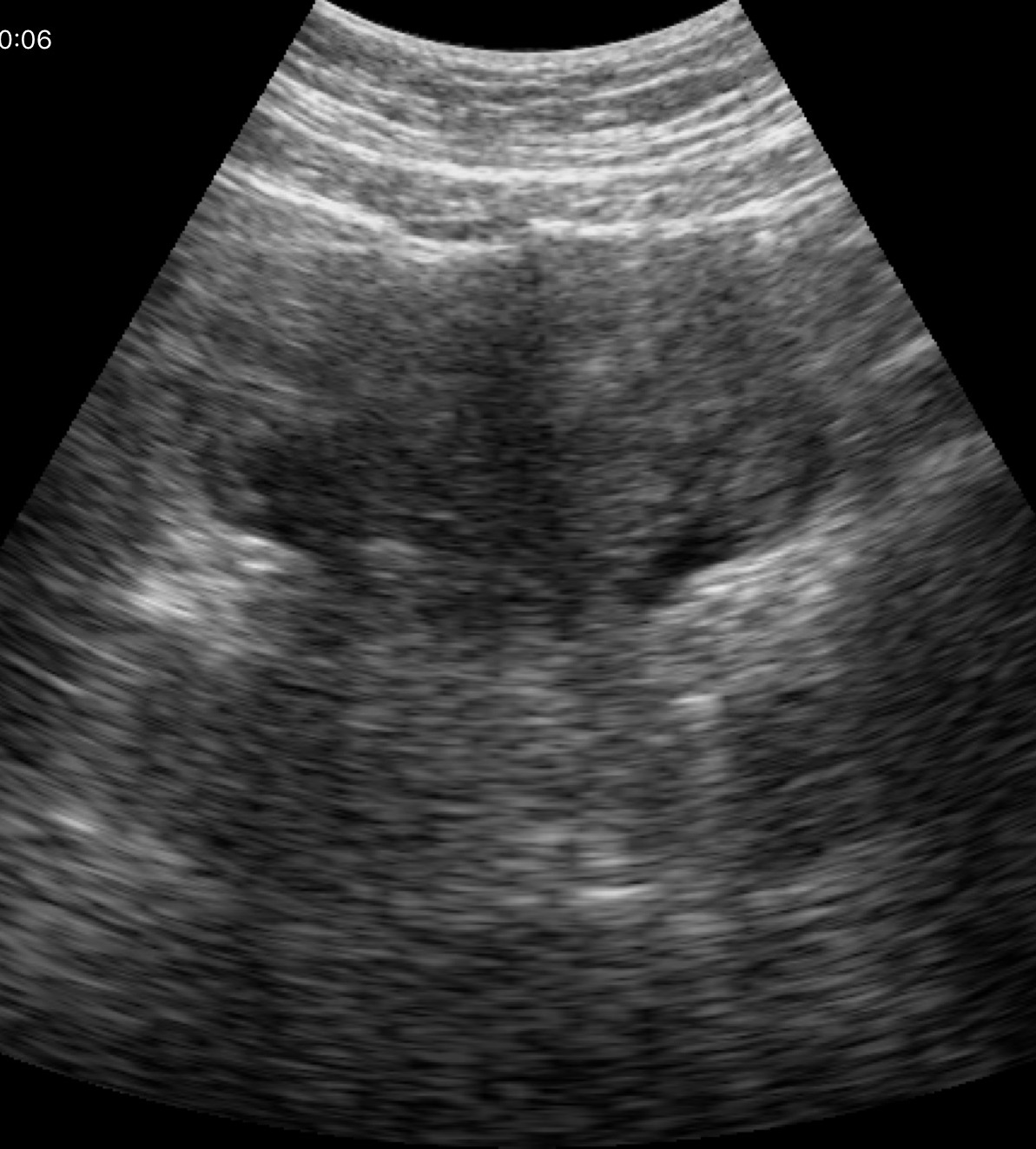
modality=genitourinary ultrasound.